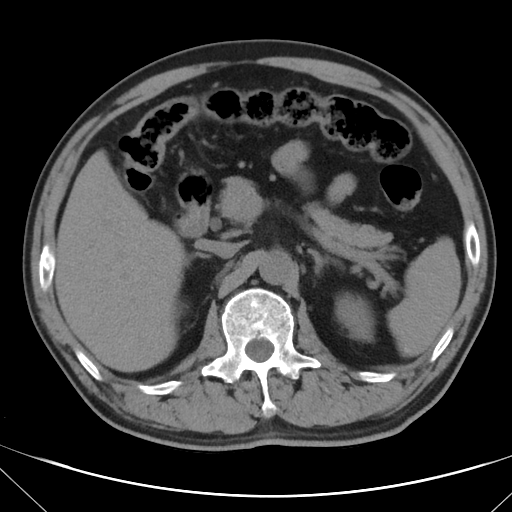
Q: What kind of scan is this?
A: Multiphase abdominal CT, liver, non-contrast phase.
Q: Patient?
A: Male, age 62.
Q: History?
A: Cirrhosis, viral hepatitis.